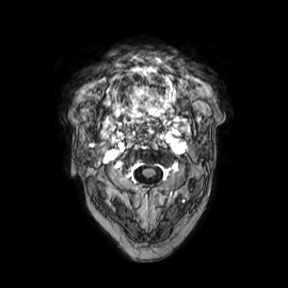
3 Tesla brain MRI.
Series: axial.
Study: ring-enhancing brain masses.